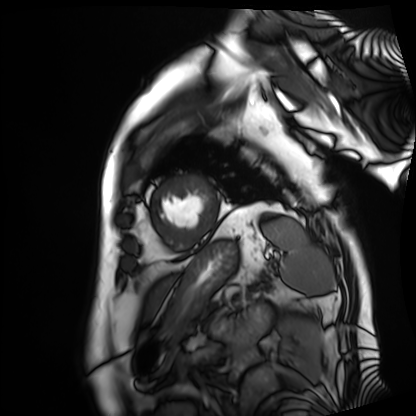
Summary:
Cardiac MRI. Subject group: patient.